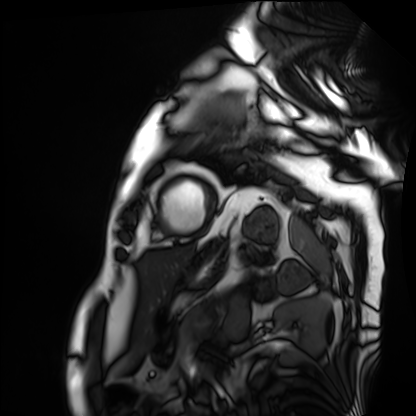
Case summary: Cardiac MRI. Subject group: patient.